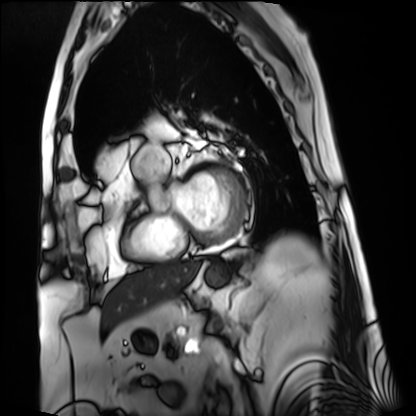
{
  "modality": "cardiac MRI",
  "cohort": "patient"
}